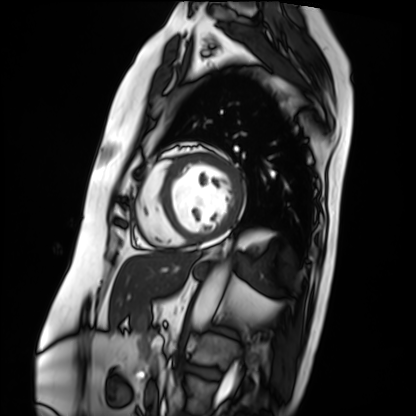
{
  "modality": "cardiac MRI",
  "cohort": "patient"
}